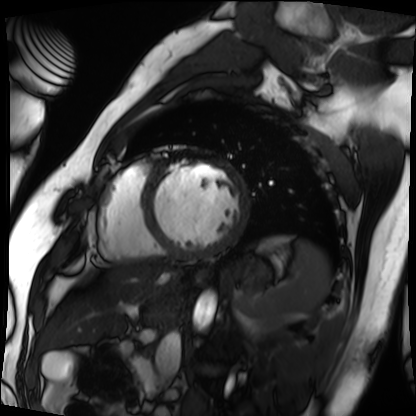
Summary: Cardiac MRI. Subject group: patient.